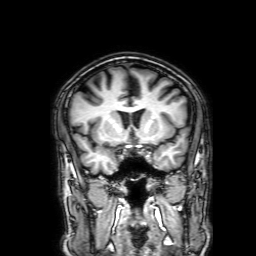
Case summary: 3 Tesla brain MRI. Series: 3D T1-weighted with SENSE. Study: ring-enhancing brain masses.